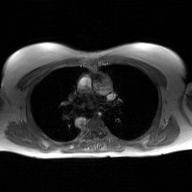
modality: 2D phase-contrast cine MRI of the ascending aorta, GAN super-resolution reconstruction.